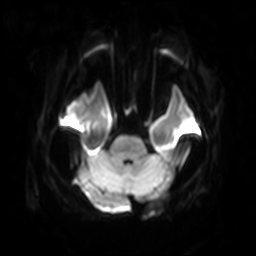
modality = 3 Tesla brain MRI; series = diffusion-weighted imaging with SENSE (WIP); study = ring-enhancing brain masses.